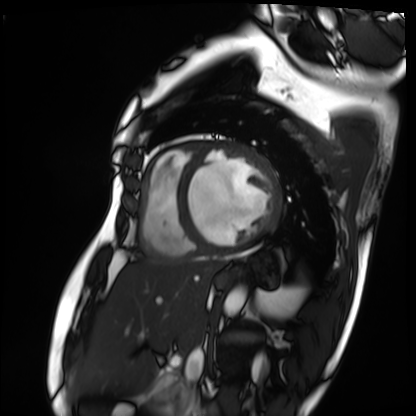
{
  "modality": "cardiac MRI",
  "cohort": "patient"
}